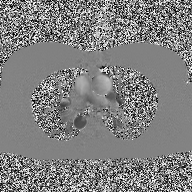
Case:
- modality — 2D phase-contrast cine MRI of the ascending aorta